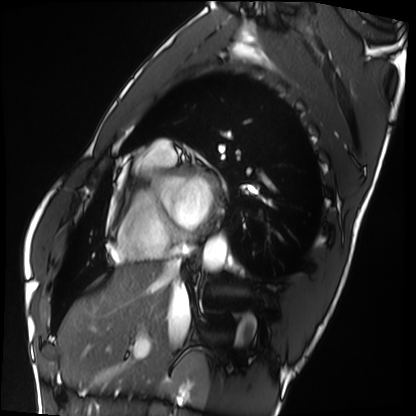
– modality · cardiac MRI
– subject group · healthy volunteer